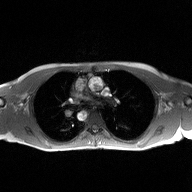
2D phase-contrast cine MRI of the ascending aorta, high-resolution GRAPPA acquisition.